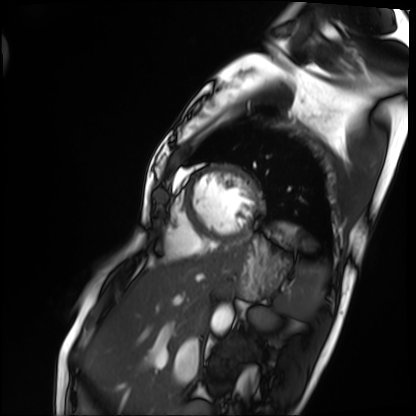
Summary: Cardiac MRI. Subject group: patient.